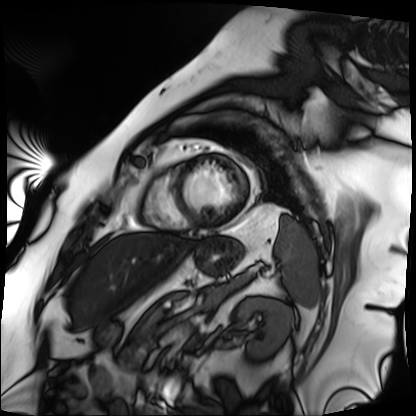
modality: cardiac MRI
cohort: patient